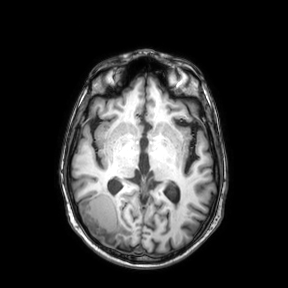
Summary: 3 Tesla brain MRI. Series: axial. Study: ring-enhancing brain masses.